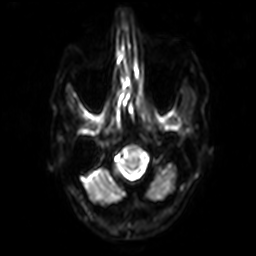
{"modality": {"type": "brain MRI", "field_strength": "3T"}, "series": "diffusion-weighted imaging with SENSE (WIP)", "study_topic": "ring-enhancing brain masses"}